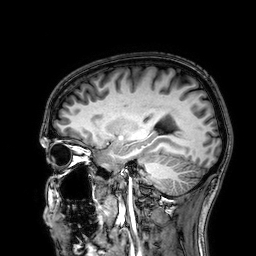
3 Tesla brain MRI.
Series: 3D T1-weighted.
Study: ring-enhancing brain masses.